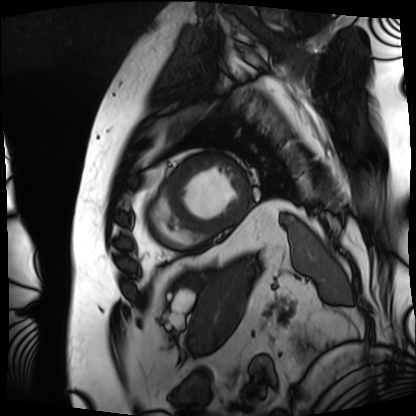
Q: What kind of scan is this?
A: Cardiac MRI.
Subject group: patient.